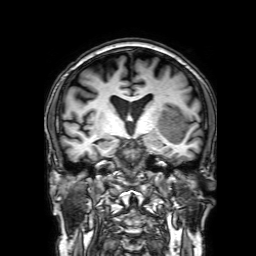
Case summary:
3 Tesla brain MRI. Series: 3D T1-weighted with SENSE. Study: ring-enhancing brain masses.